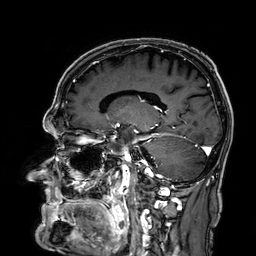
<case>
  <modality>
    <type>brain MRI</type>
    <field_strength>3T</field_strength>
  </modality>
  <series>3D T1-weighted</series>
  <study_topic>ring-enhancing brain masses</study_topic>
</case>